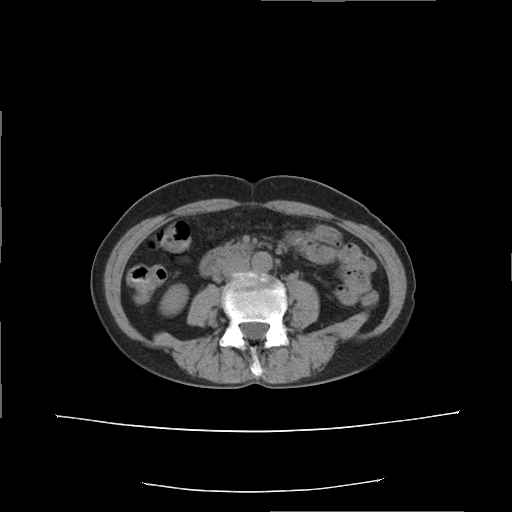
modality = multiphase abdominal CT, liver, non-contrast phase | patient = female, age 53.